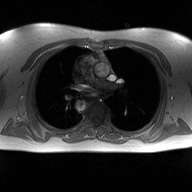
Case summary:
2D phase-contrast cine MRI of the ascending aorta, high-resolution GRAPPA acquisition.